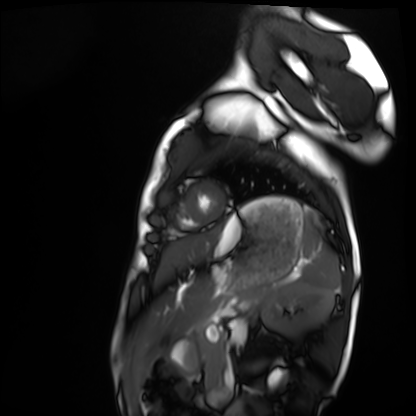
- modality · cardiac MRI
- subject group · healthy volunteer